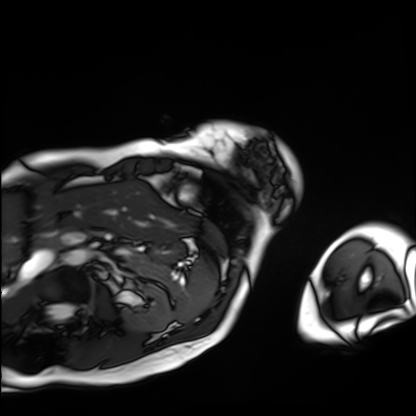
| field | value |
|---|---|
| modality | cardiac MRI |
| subject group | patient |